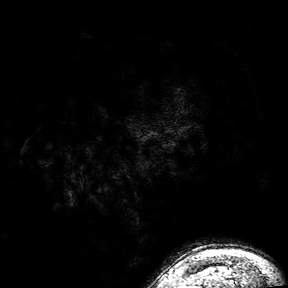
3 Tesla brain MRI. Series: 3D T1-weighted turbo field echo with SENSE. Study: ring-enhancing brain masses.